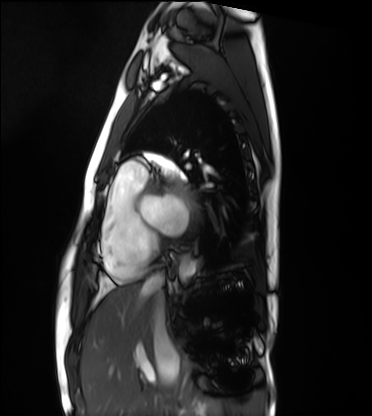
• modality — cardiac MRI
• subject group — healthy volunteer